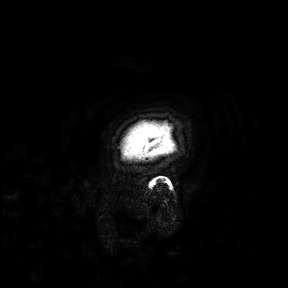
modality: 3 Tesla brain MRI | study: ring-enhancing brain masses.